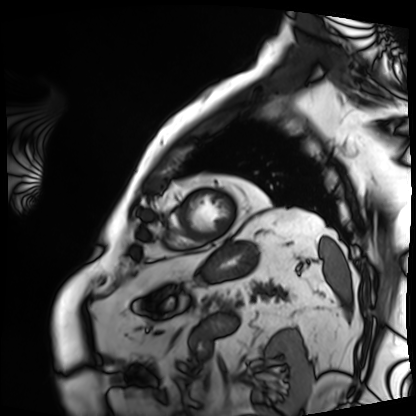
Cardiac MRI.
Subject group: patient.